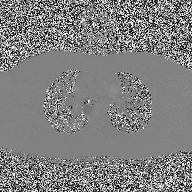
<case>
<modality>
  <type>2D phase-contrast cine MRI</type>
  <region>ascending aorta</region>
  <reconstruction>high-resolution GRAPPA acquisition</reconstruction>
</modality>
</case>